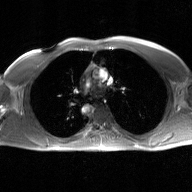
2D phase-contrast cine MRI of the ascending aorta, GAN super-resolution reconstruction.